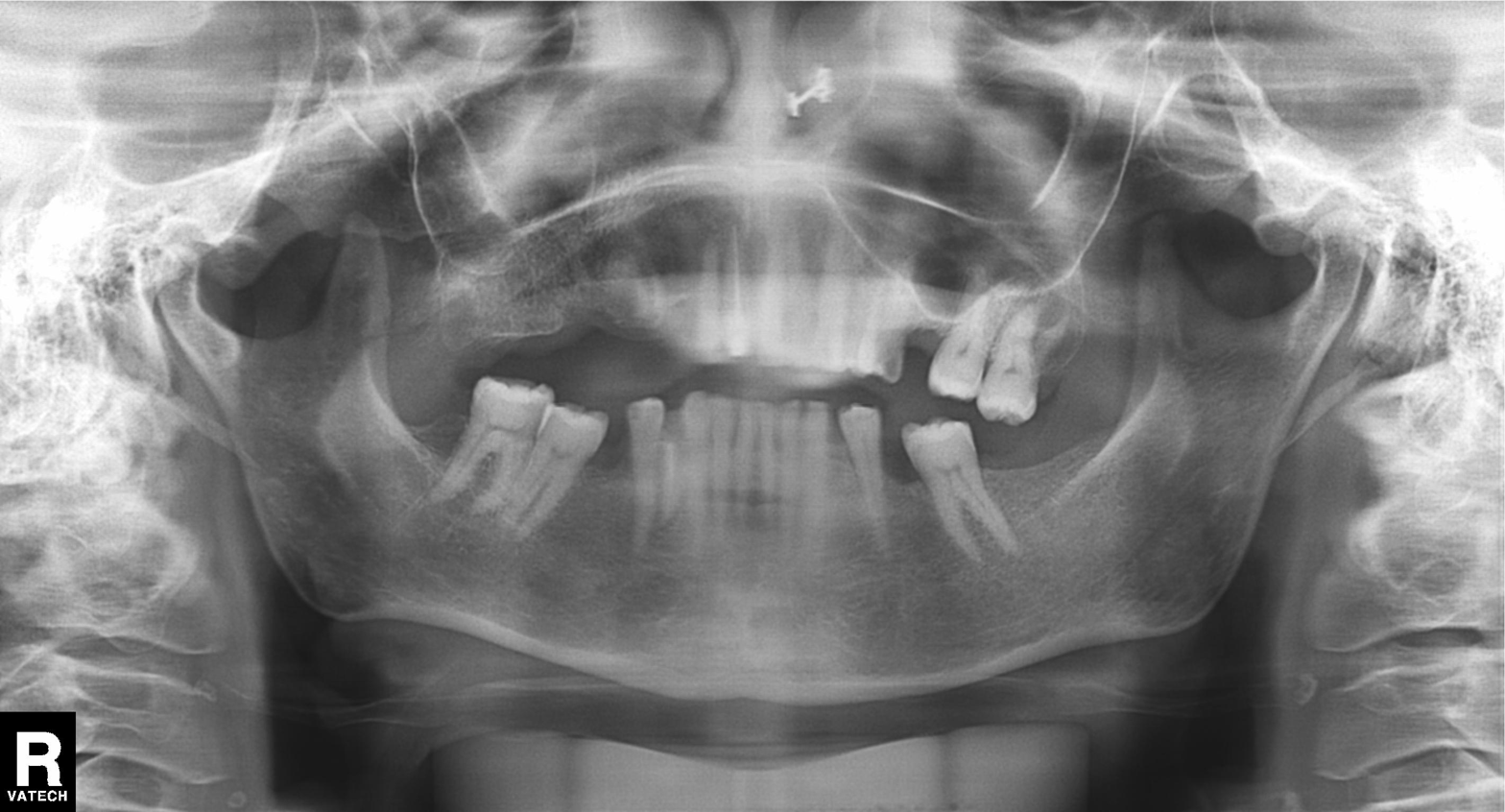
Case:
– modality · panoramic dental radiograph (orthopantomogram)
– finding · alveolar bone loss